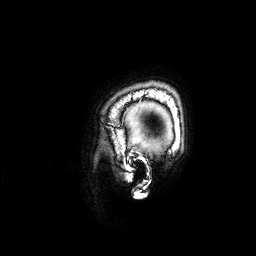
  modality:
    type: brain MRI
    field_strength: 3T
  series: 3D T1-weighted
  study_topic: ring-enhancing brain masses